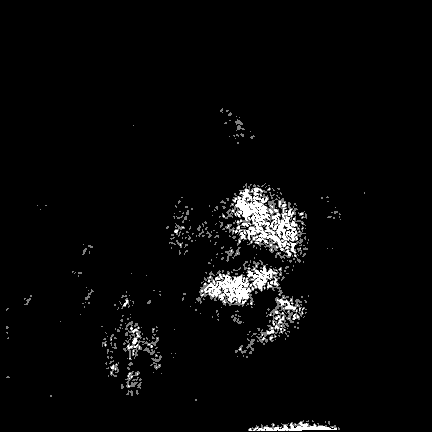
3 Tesla brain MRI.
Series: FLAIR VISTA.
Study: ring-enhancing brain masses.